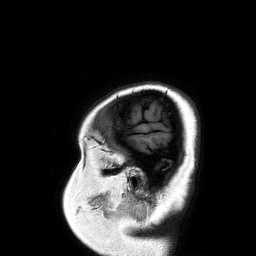
{"modality": {"type": "brain MRI", "field_strength": "3T"}, "series": "3D T1-weighted turbo field echo", "study_topic": "ring-enhancing brain masses"}